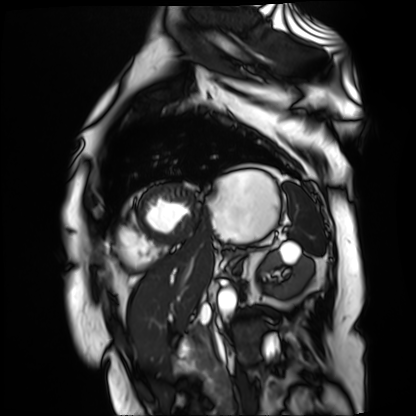
Case:
• modality: cardiac MR image of the myocardium
• subject cohort: cardiac patient